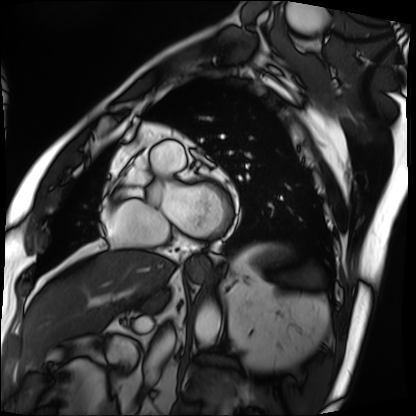
Cardiac MRI. Subject group: patient.